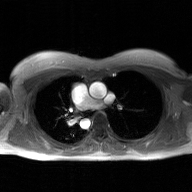
| field | value |
|---|---|
| modality | 2D phase-contrast cine MRI of the ascending aorta, GAN super-resolution reconstruction |